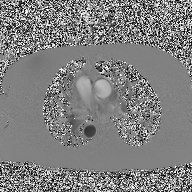
Q: What kind of scan is this?
A: 2D phase-contrast cine MRI of the ascending aorta.